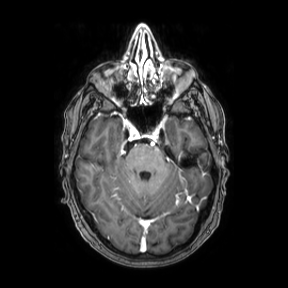
Case:
- modality — 3 Tesla brain MRI
- series — axial
- study — ring-enhancing brain masses